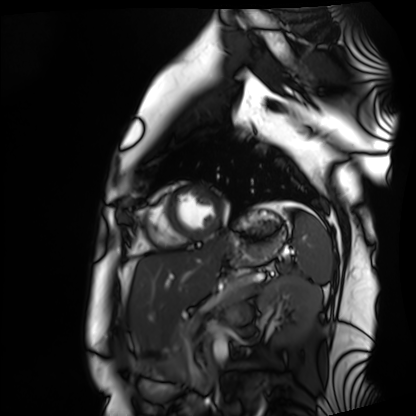
Cardiac MRI. Subject group: healthy volunteer.